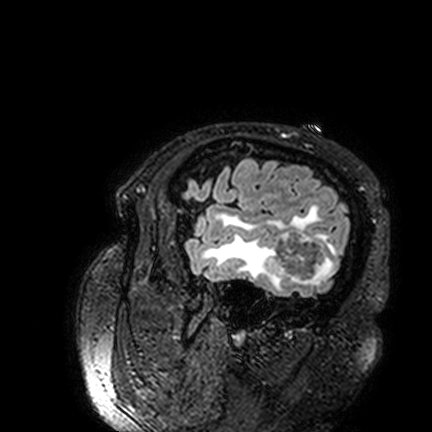
Q: What kind of scan is this?
A: 3 Tesla brain MRI.
Q: Series?
A: FLAIR VISTA.
Study: ring-enhancing brain masses.